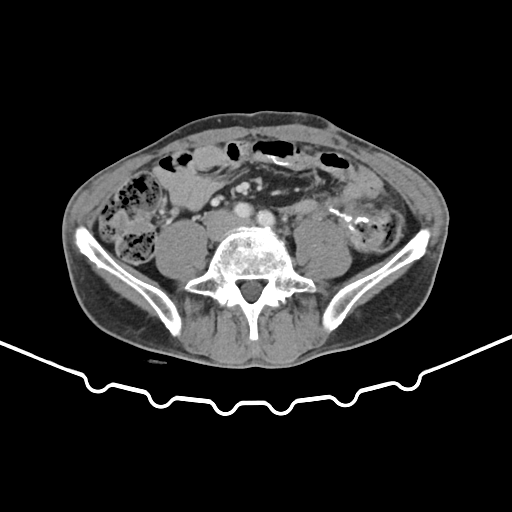
Multiphase abdominal CT, liver, portal venous phase.
Patient: male, age 59.